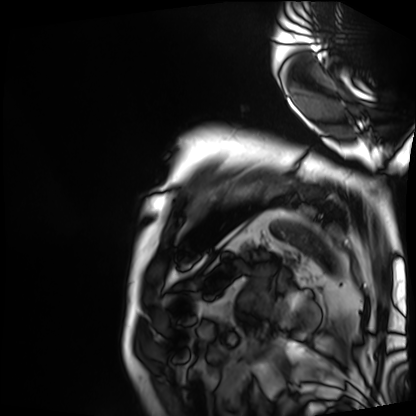
Clinical context: Cardiac MRI. Subject group: patient.